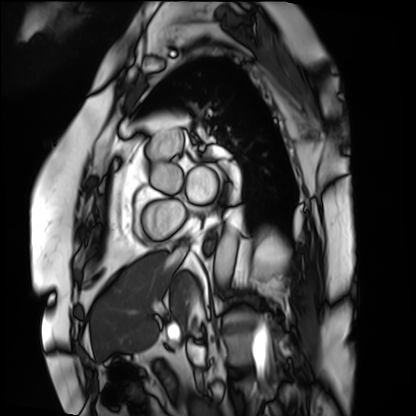
modality: cardiac MRI
cohort: patient